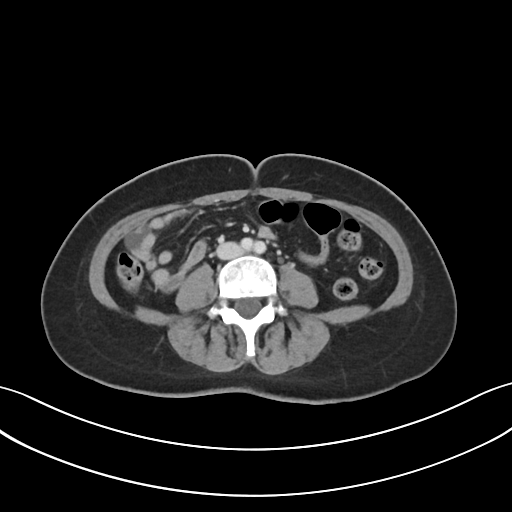
Multiphase abdominal CT, liver, portal venous phase. Patient: female, age 46.